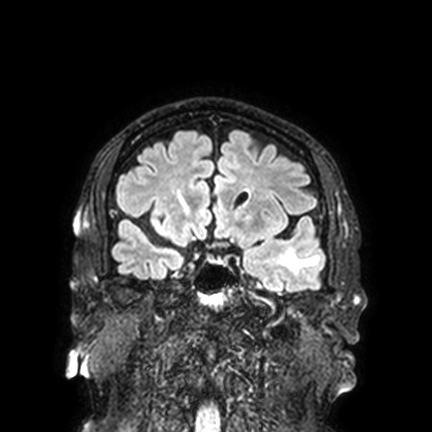
3 Tesla brain MRI. Series: FLAIR VISTA with SENSE. Study: ring-enhancing brain masses.